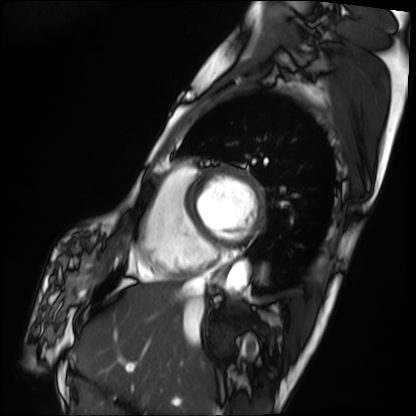
modality: cardiac MRI
cohort: patient